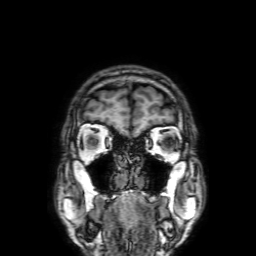
{
  "modality": {
    "type": "brain MRI",
    "field_strength": "3T"
  },
  "series": "3D T1-weighted with SENSE",
  "study_topic": "ring-enhancing brain masses"
}